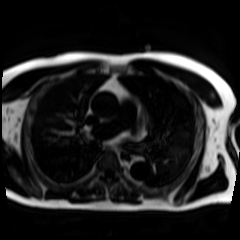
Chemical-shift-encoded cardiac MRI.